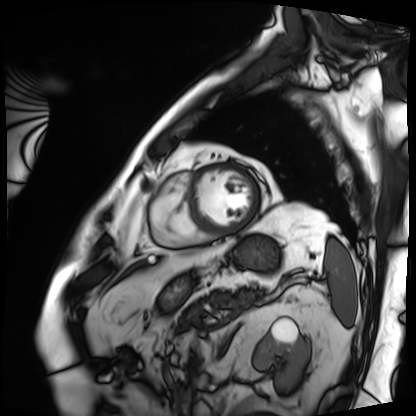
Cardiac MRI.
Subject group: patient.